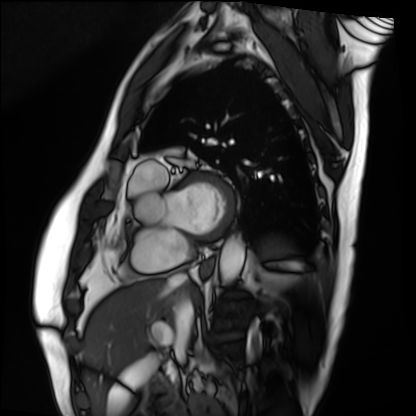
Cardiac MRI. Subject group: patient.